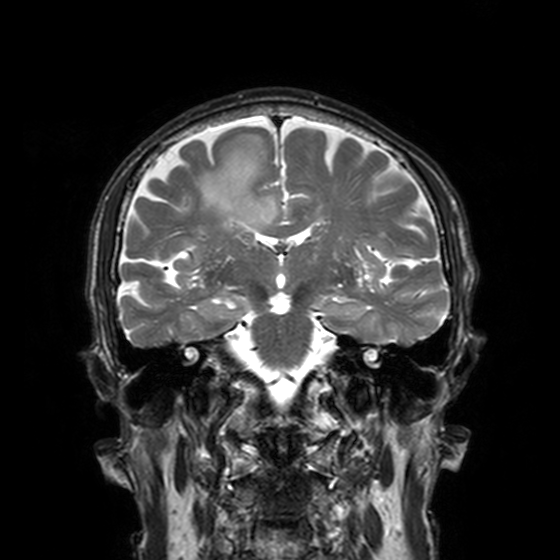
Clinical context: 3 Tesla brain MRI. Series: T2-weighted turbo spin echo, 3 mm. Study: ring-enhancing brain masses.